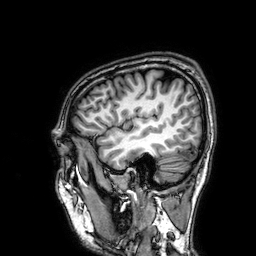
Q: What kind of scan is this?
A: 3 Tesla brain MRI.
Study: ring-enhancing brain masses.